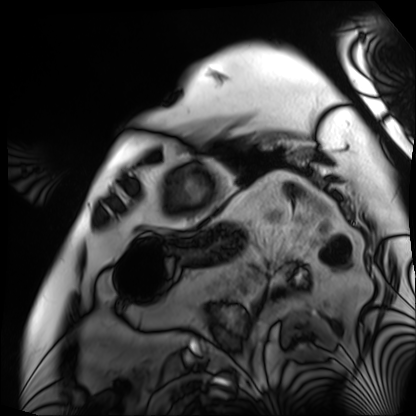
modality: cardiac MRI
cohort: patient